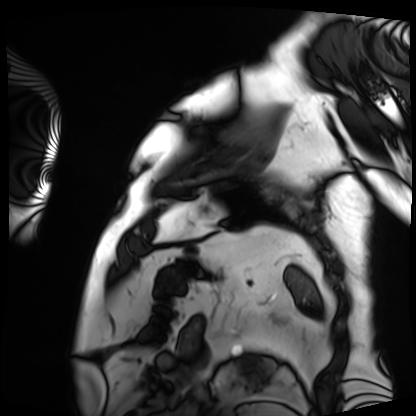
| field | value |
|---|---|
| modality | cardiac MRI |
| subject group | patient |